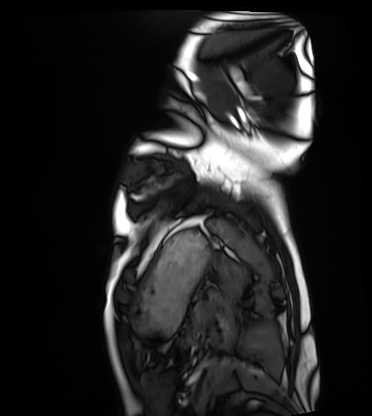
Cardiac MRI.
Subject group: healthy volunteer.